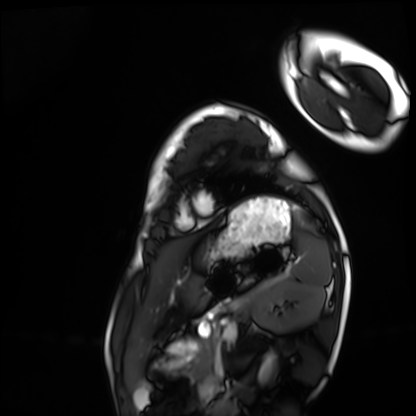
Cardiac MRI. Subject group: healthy volunteer.